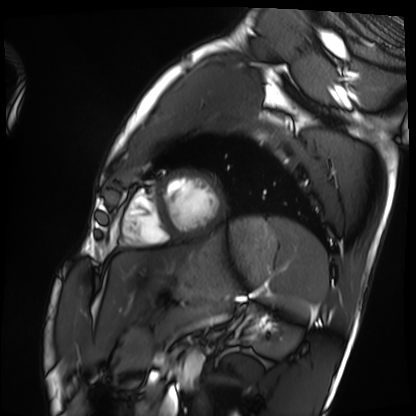
Cardiac MRI.
Subject group: healthy volunteer.